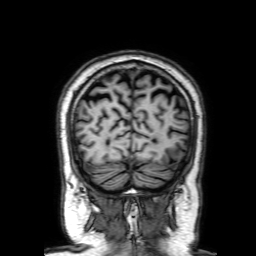
modality — 3 Tesla brain MRI
series — 3D T1-weighted with SENSE
study — ring-enhancing brain masses